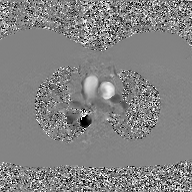
* modality: 2D phase-contrast cine MRI of the ascending aorta, GAN super-resolution reconstruction